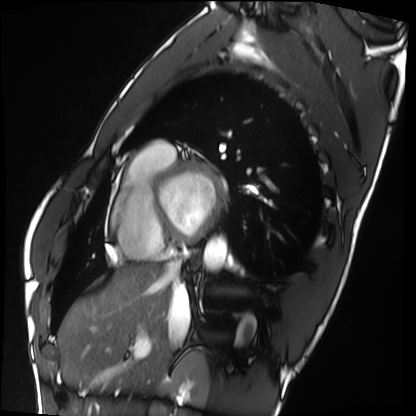
  modality: cardiac MRI
  cohort: healthy volunteer